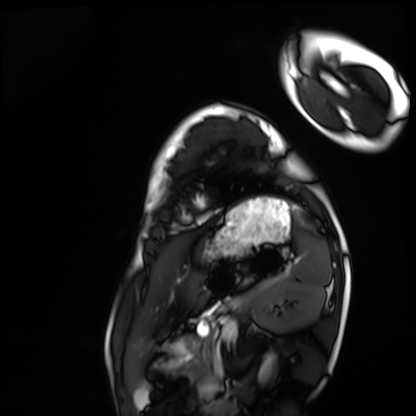
Summary: Cardiac MRI. Subject group: healthy volunteer.